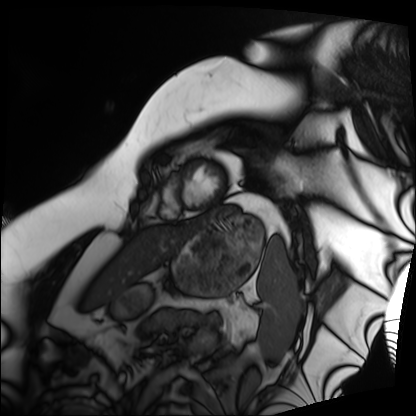
Cardiac MRI. Subject group: patient.